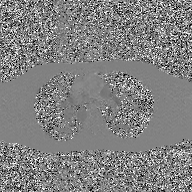
2D phase-contrast cine MRI of the ascending aorta, GAN super-resolution reconstruction.